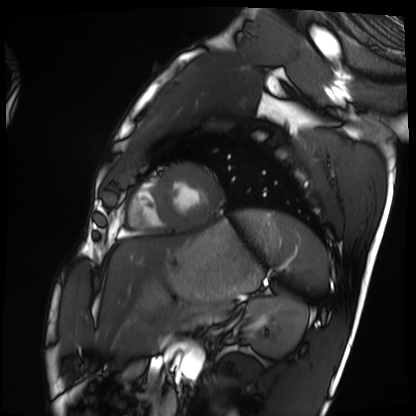
Cardiac MRI.
Subject group: healthy volunteer.